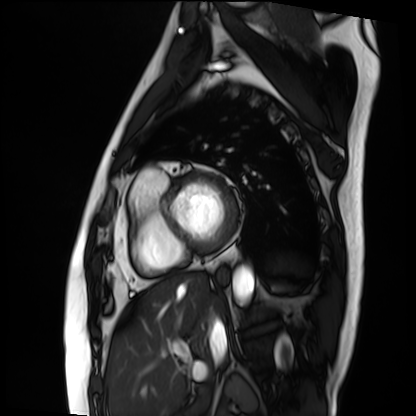
Q: What kind of scan is this?
A: Cardiac MRI.
Subject group: patient.